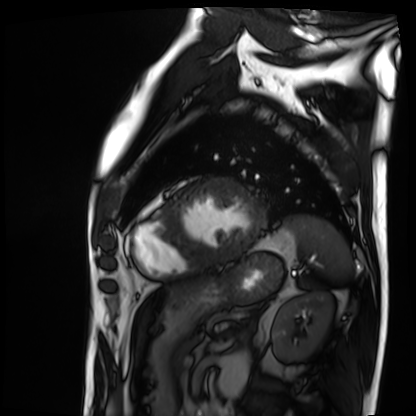
modality: cardiac MRI | subject group: patient.